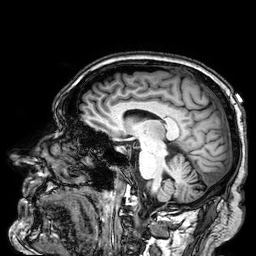
Summary: 3 Tesla brain MRI. Series: 3D T1-weighted. Study: ring-enhancing brain masses.